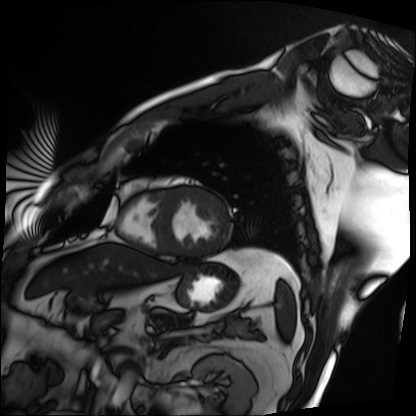
Case summary:
Cardiac MRI. Subject group: patient.